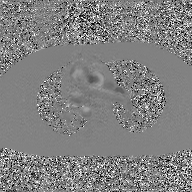
– modality — 2D phase-contrast cine MRI of the ascending aorta, GAN super-resolution reconstruction